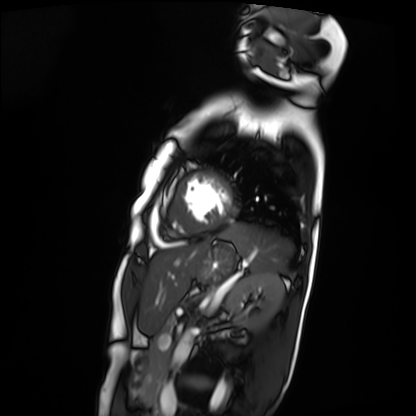
Summary:
Cardiac MRI. Subject group: patient.